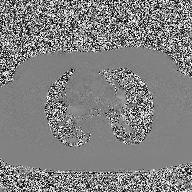
2D phase-contrast cine MRI of the ascending aorta, high-resolution GRAPPA acquisition.